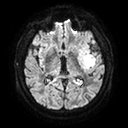
{"modality": {"type": "brain MRI", "field_strength": "3T"}, "series": "diffusion tensor imaging (medium iso)", "study_topic": "ring-enhancing brain masses"}